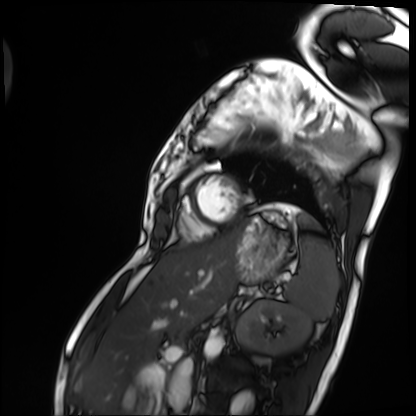
Cardiac MRI.
Subject group: patient.